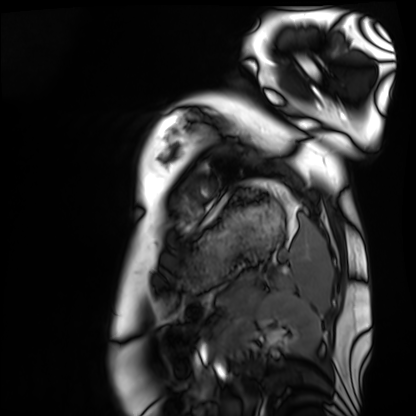
{
  "modality": "cardiac MRI",
  "cohort": "healthy volunteer"
}